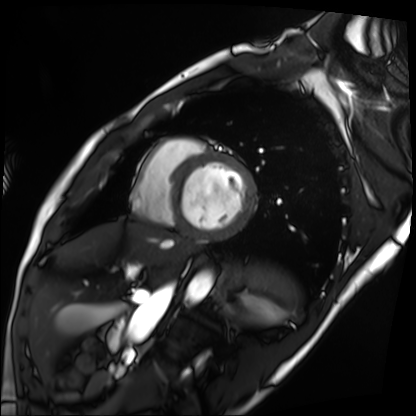
Summary: Cardiac MRI. Subject group: patient.